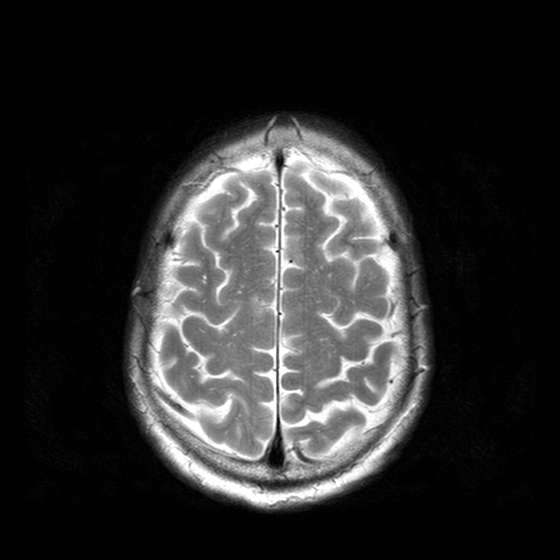
modality=3 Tesla brain MRI
series=T2-weighted turbo spin echo with CLEAR
study=ring-enhancing brain masses